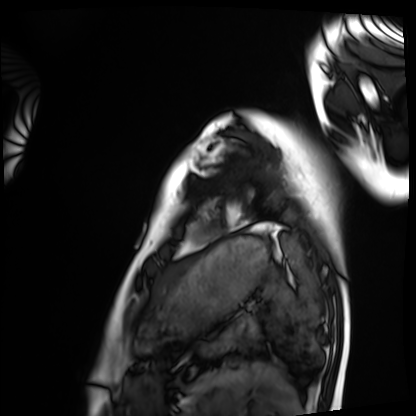
Summary: Cardiac MRI. Subject group: healthy volunteer.